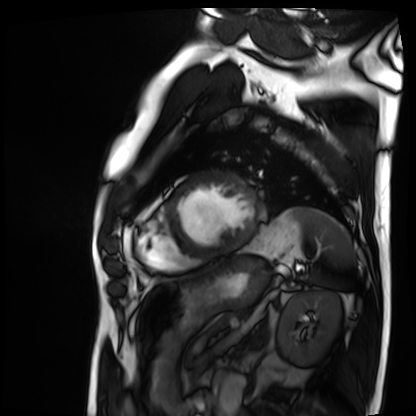
Cardiac MRI.
Subject group: patient.